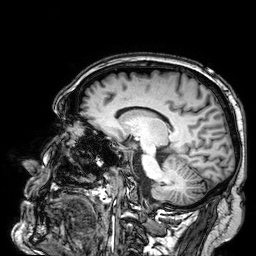
Q: What kind of scan is this?
A: 3 Tesla brain MRI.
Q: Series?
A: 3D T1-weighted.
Study: ring-enhancing brain masses.